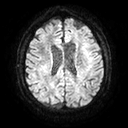
<record>
  <modality>
    <type>brain MRI</type>
    <field_strength>3T</field_strength>
  </modality>
  <series>diffusion tensor imaging (medium iso)</series>
  <study_topic>ring-enhancing brain masses</study_topic>
</record>